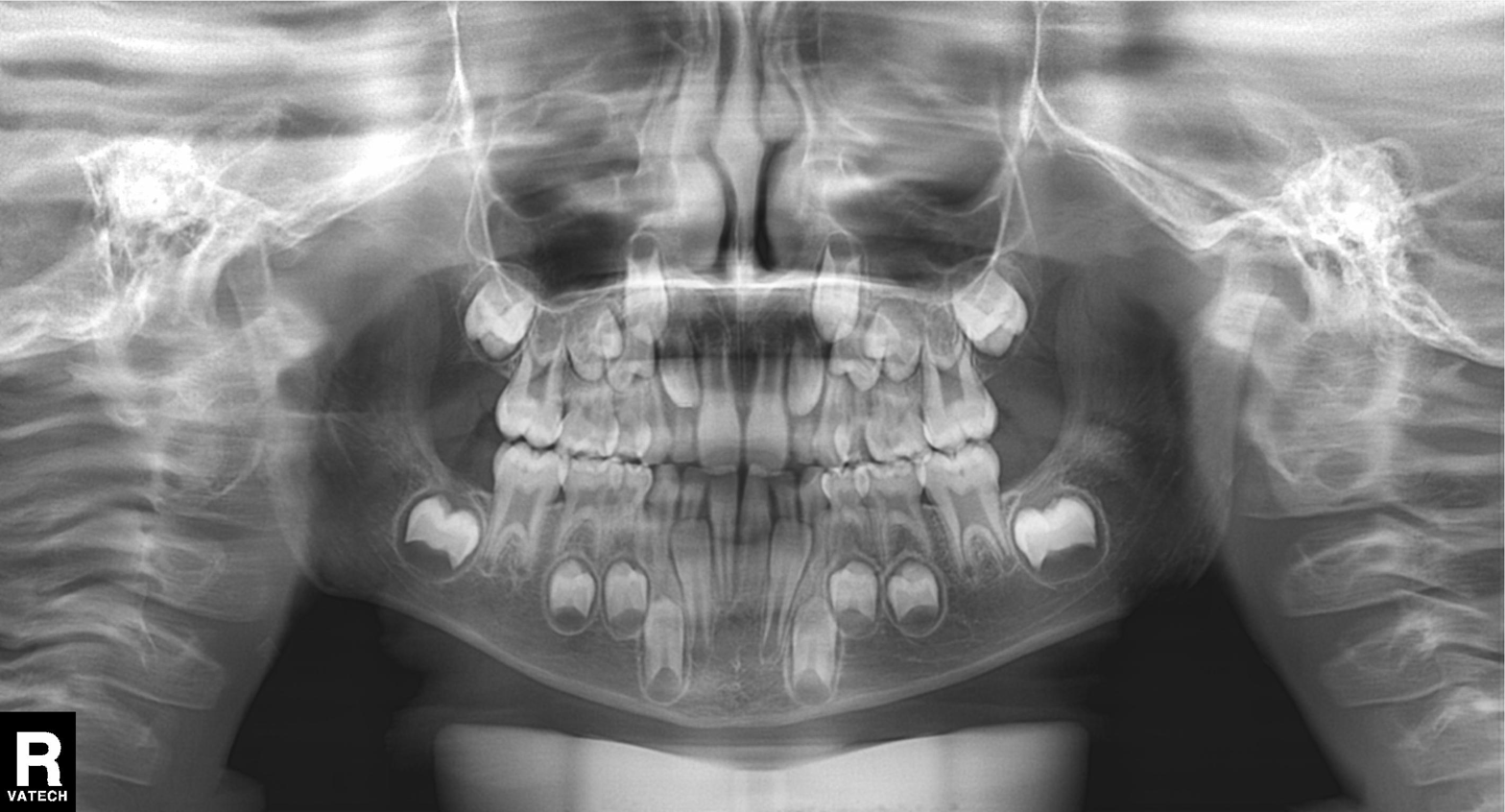
Panoramic dental radiograph (orthopantomogram). Finding: alveolar bone loss.